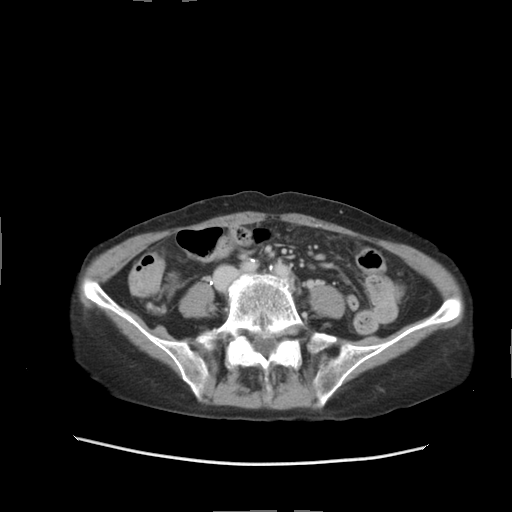
Multiphase abdominal CT, liver, delayed phase. Patient: female, age 68.